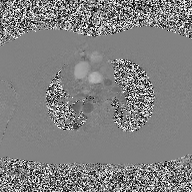
2D phase-contrast cine MRI of the ascending aorta, high-resolution GRAPPA acquisition.